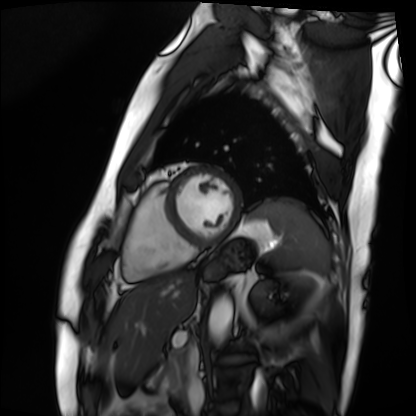
modality: cardiac MRI
subject group: patient